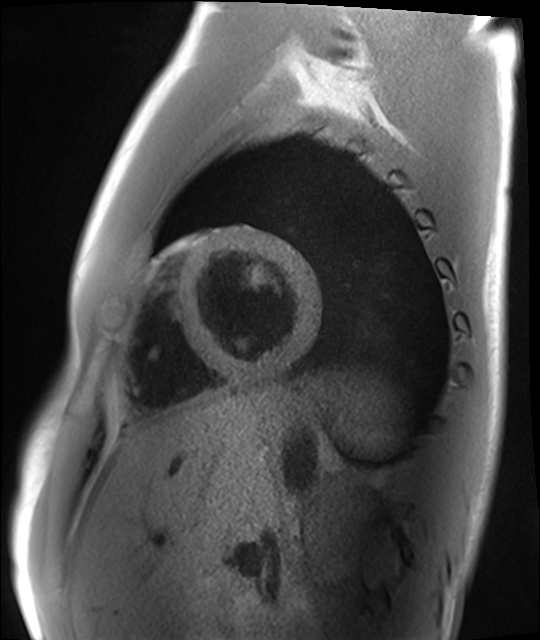
Case summary:
Cardiac MRI. Subject group: healthy volunteer.